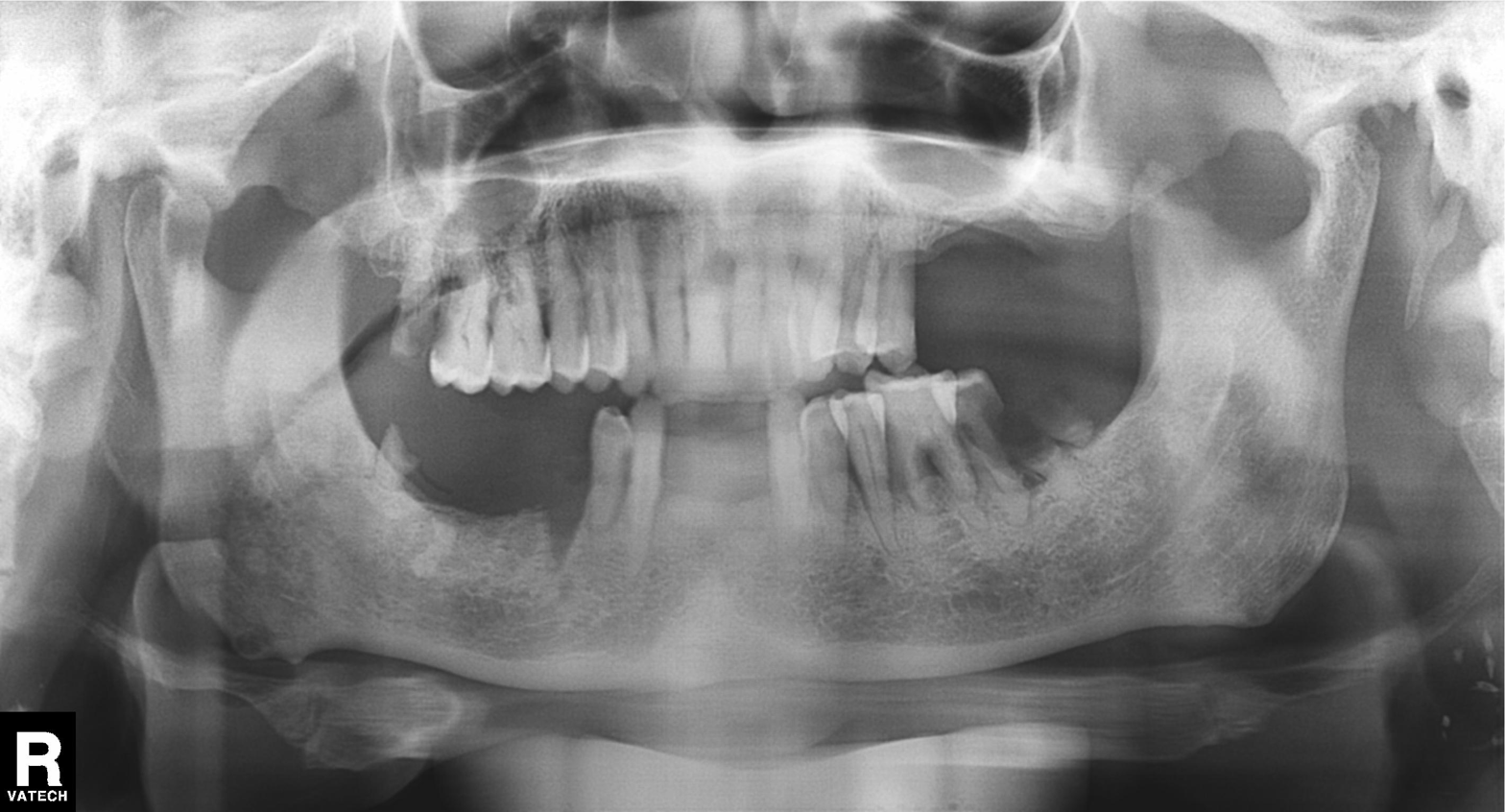
modality=panoramic dental radiograph (orthopantomogram) | finding=alveolar bone loss.